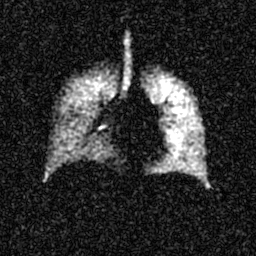
Hyperpolarized 129Xe ventilation MRI of the lungs. SNR level 5 of 8 (the deposit holds this scan as its native image and as seven SNR-degraded versions).